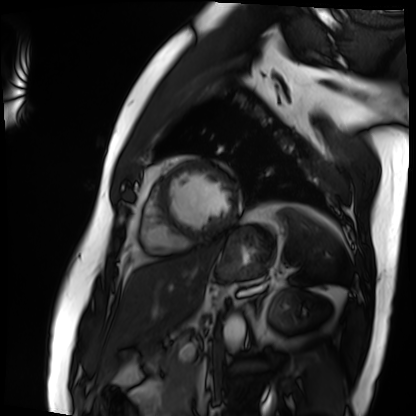
| field | value |
|---|---|
| modality | cardiac MRI |
| subject group | patient |